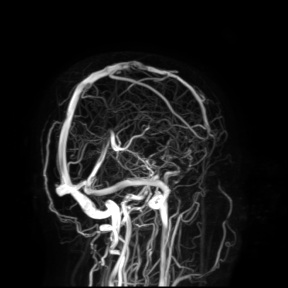
3 Tesla brain MRI. Study: ring-enhancing brain masses.